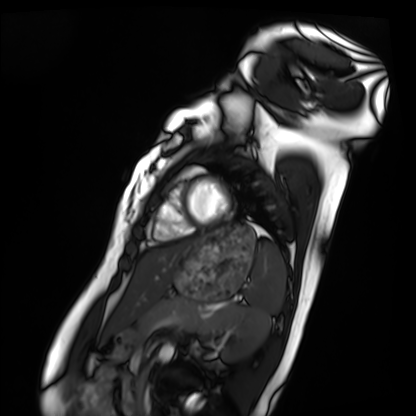
Clinical context: Cardiac MRI. Subject group: healthy volunteer.